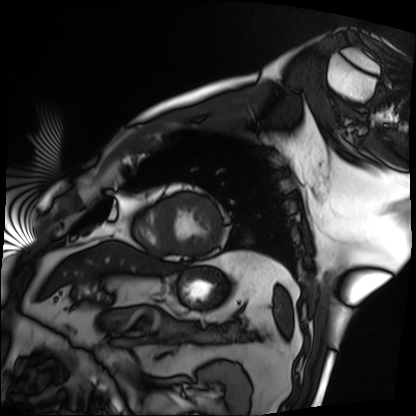
Case summary: Cardiac MRI. Subject group: patient.